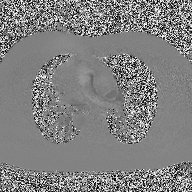
2D phase-contrast cine MRI of the ascending aorta, high-resolution GRAPPA acquisition.